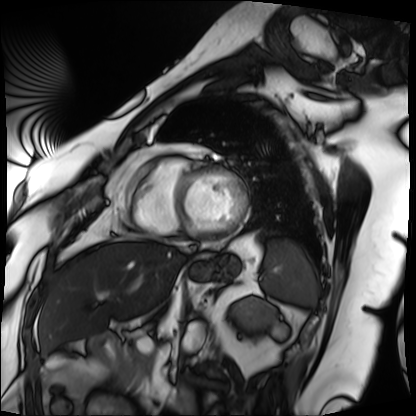
Cardiac MRI. Subject group: patient.